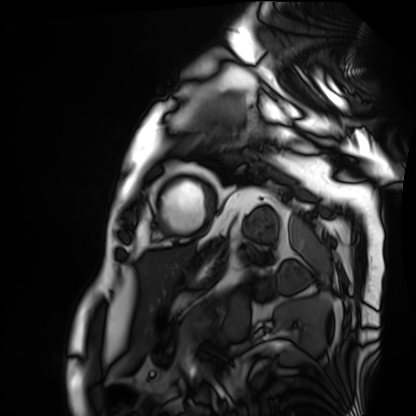
Cardiac MRI. Subject group: patient.